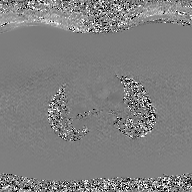
2D phase-contrast cine MRI of the ascending aorta, GAN super-resolution reconstruction.